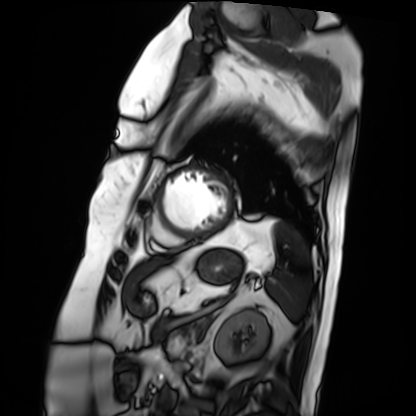
Clinical context:
Cardiac MRI. Subject group: patient.